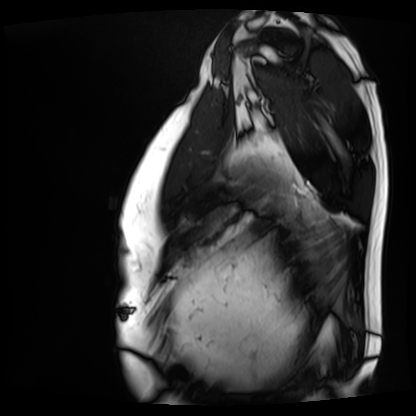
Cardiac MRI. Subject group: patient.